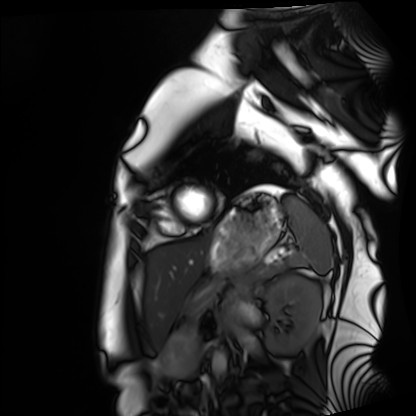
Case summary:
Cardiac MRI. Subject group: healthy volunteer.